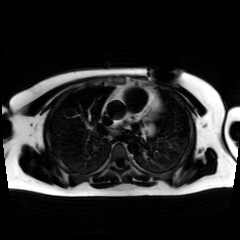
Chemical-shift-encoded cardiac MRI.